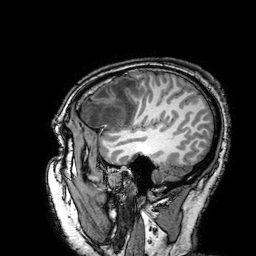
3 Tesla brain MRI. Study: ring-enhancing brain masses.